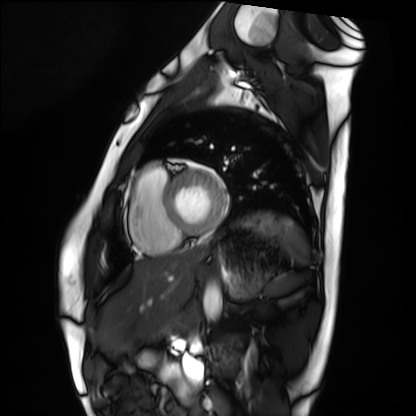
modality=cardiac MRI; subject group=healthy volunteer.